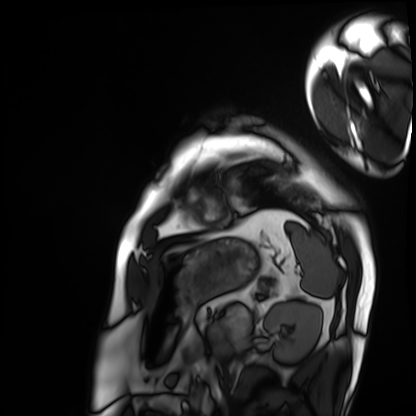
Case summary: Cardiac MRI. Subject group: patient.